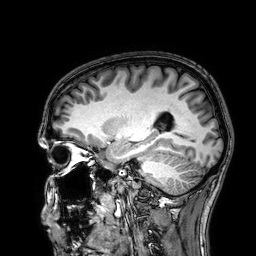
  modality:
    type: brain MRI
    field_strength: 3T
  series: 3D T1-weighted
  study_topic: ring-enhancing brain masses